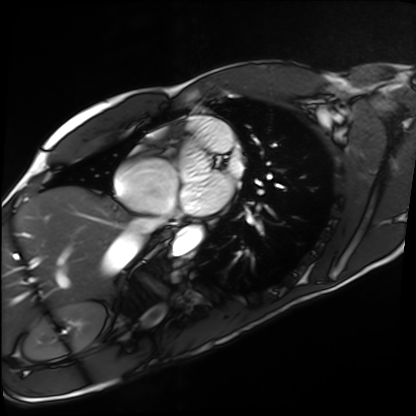
modality — cardiac MRI
subject group — healthy volunteer